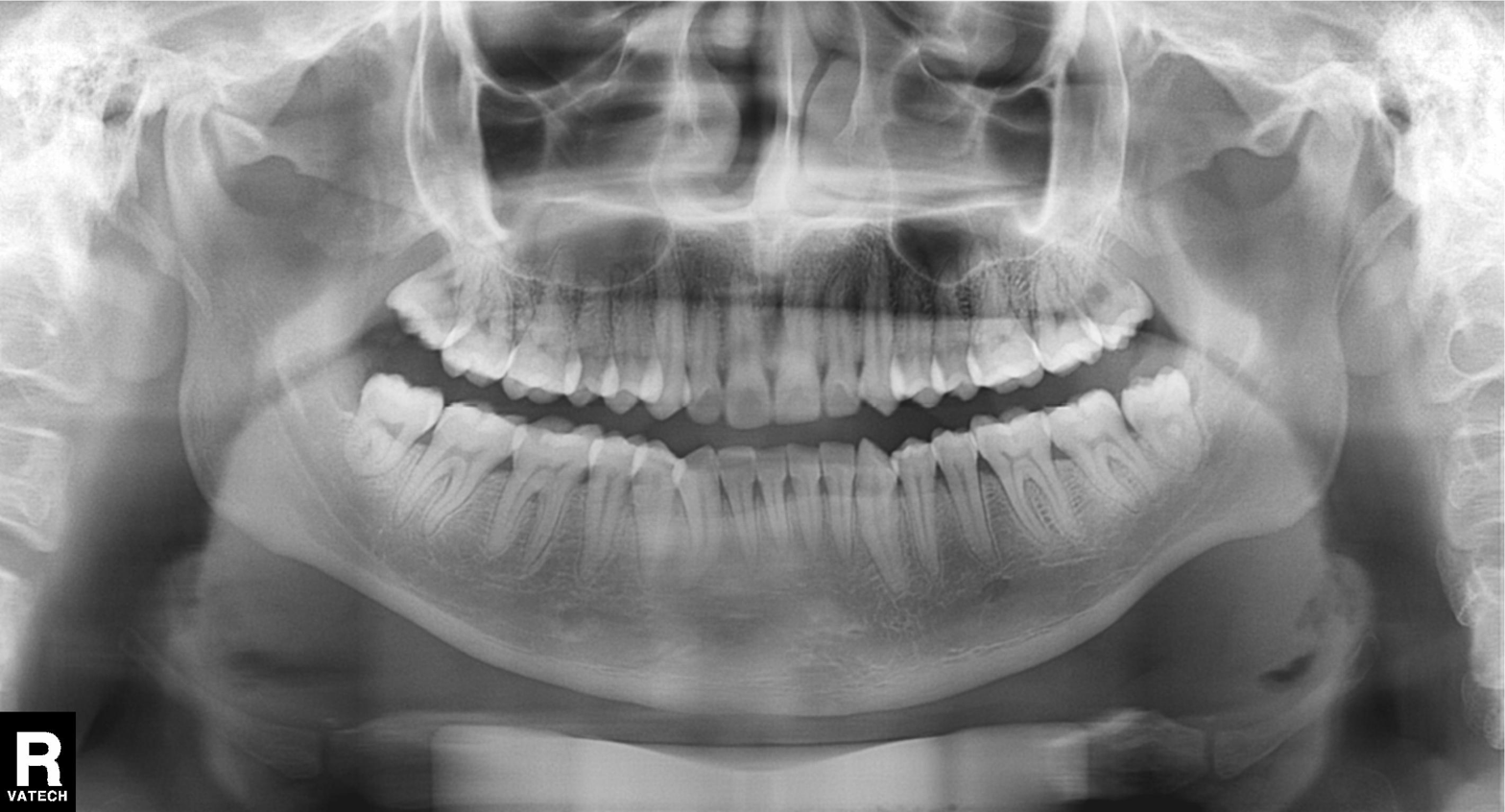
Panoramic dental radiograph (orthopantomogram). Finding: dental caries (cavities).